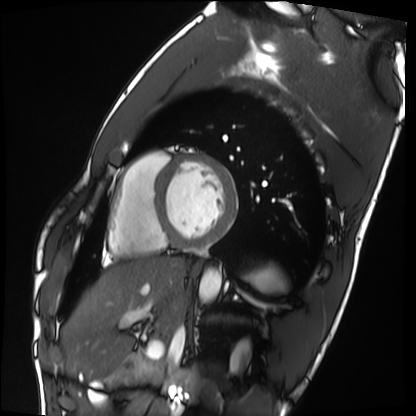
Q: What kind of scan is this?
A: Cardiac MRI.
Subject group: healthy volunteer.